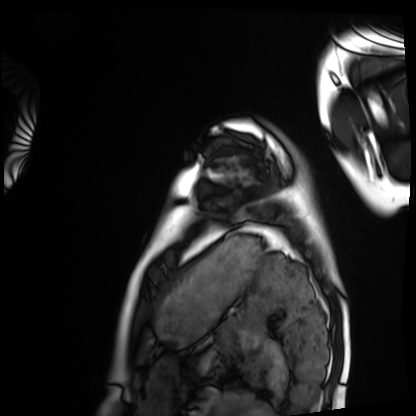
<case>
  <modality>cardiac MRI</modality>
  <cohort>healthy volunteer</cohort>
</case>